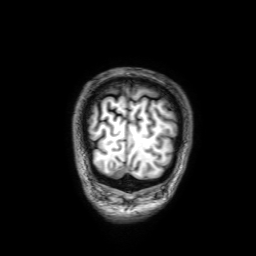
{
  "modality": {
    "type": "brain MRI",
    "field_strength": "3T"
  },
  "series": "3D T1-weighted with SENSE",
  "study_topic": "ring-enhancing brain masses"
}